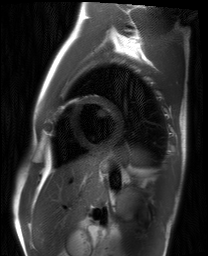
Clinical context:
Cardiac MRI. Subject group: healthy volunteer.